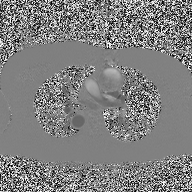
modality: 2D phase-contrast cine MRI of the ascending aorta.